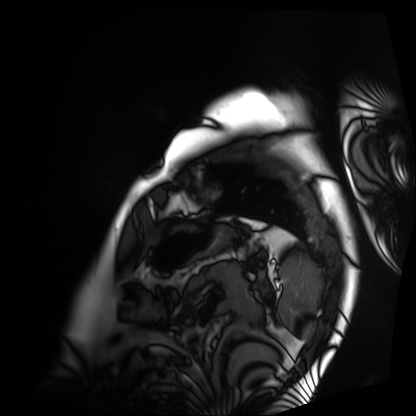
| field | value |
|---|---|
| modality | cardiac MRI |
| subject group | patient |